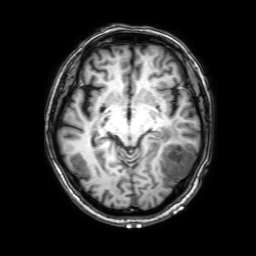
3 Tesla brain MRI. Series: 3D T1-weighted with SENSE. Study: ring-enhancing brain masses.